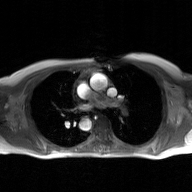
* modality · 2D phase-contrast cine MRI of the ascending aorta, GAN super-resolution reconstruction